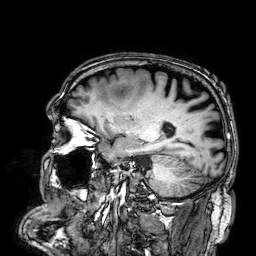
Summary:
3 Tesla brain MRI. Series: 3D T1-weighted. Study: ring-enhancing brain masses.